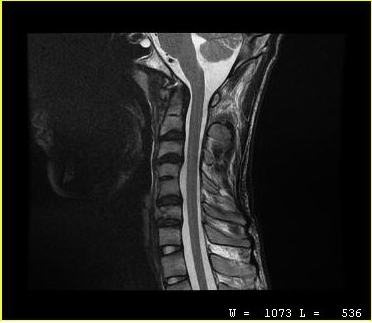
modality=MRI of the cervical spine
study=cervical spondylosis